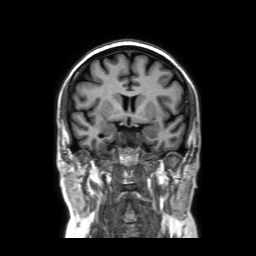
  modality:
    type: brain MRI
    field_strength: 3T
  series: coronal without contrast
  study_topic: ring-enhancing brain masses